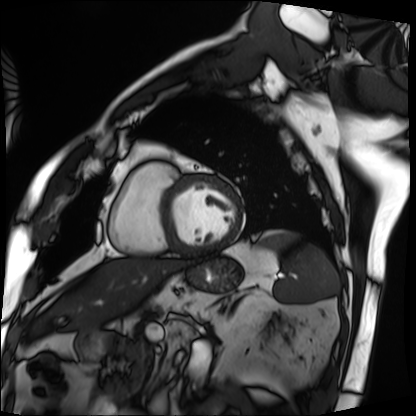
modality = cardiac MRI
subject group = patient